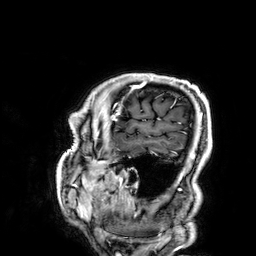
{
  "modality": {
    "type": "brain MRI",
    "field_strength": "3T"
  },
  "series": "3D T1-weighted",
  "study_topic": "ring-enhancing brain masses"
}